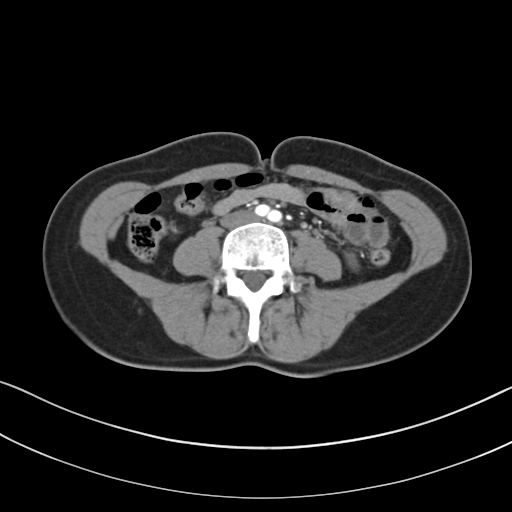
modality — multiphase abdominal CT, liver, arterial phase; patient — female, age 40.